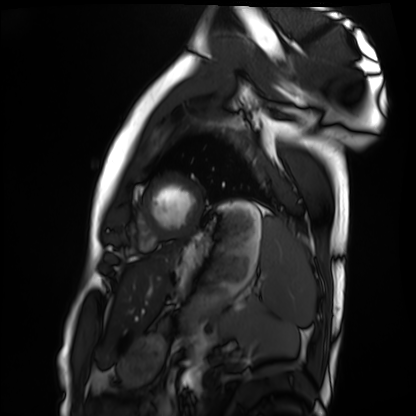
Summary:
Cardiac MRI. Subject group: healthy volunteer.